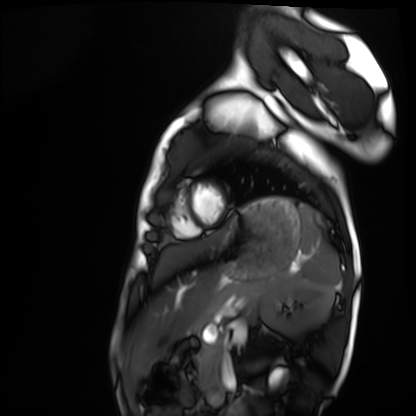
modality: cardiac MRI
subject group: healthy volunteer